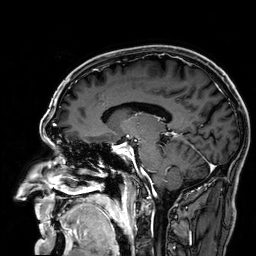
Case summary: 3 Tesla brain MRI. Series: 3D T1-weighted. Study: ring-enhancing brain masses.